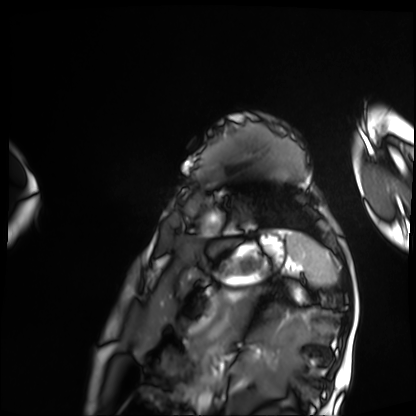
| field | value |
|---|---|
| modality | cardiac MRI |
| subject group | patient |